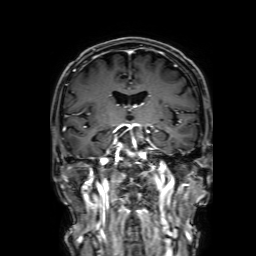
3 Tesla brain MRI. Series: 3D T1-weighted with SENSE. Study: ring-enhancing brain masses.